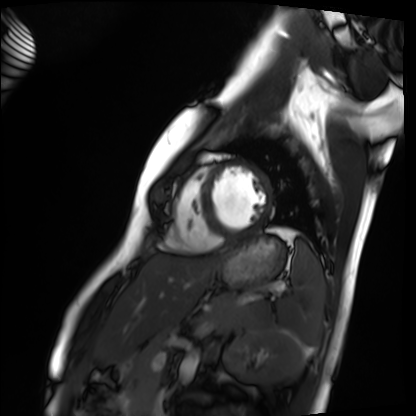
Cardiac MRI.
Subject group: healthy volunteer.